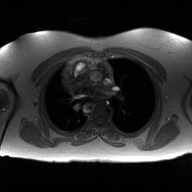
<scan>
  <modality>
    <type>2D phase-contrast cine MRI</type>
    <region>ascending aorta</region>
    <reconstruction>high-resolution GRAPPA acquisition</reconstruction>
  </modality>
</scan>